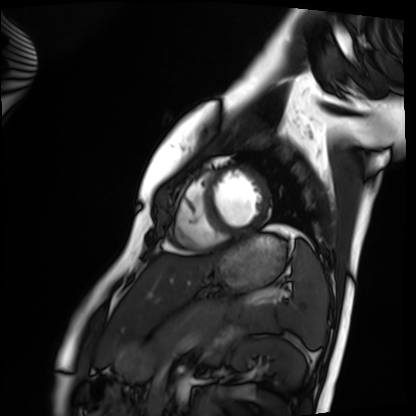
Cardiac MRI. Subject group: healthy volunteer.